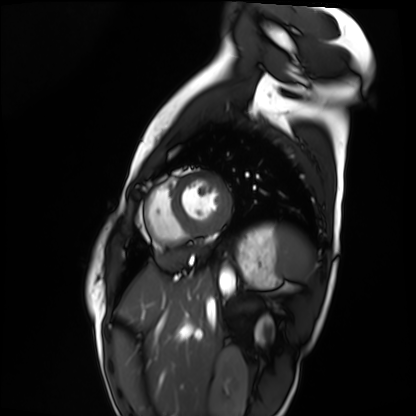
<scan>
  <modality>cardiac MRI</modality>
  <cohort>healthy volunteer</cohort>
</scan>